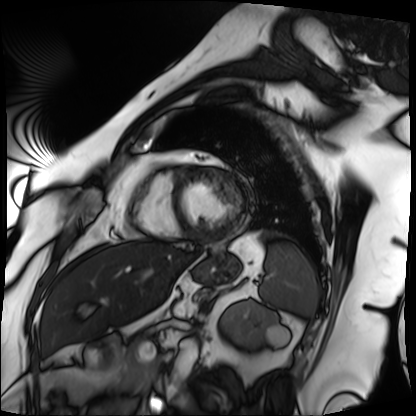
Q: What kind of scan is this?
A: Cardiac MRI.
Subject group: patient.